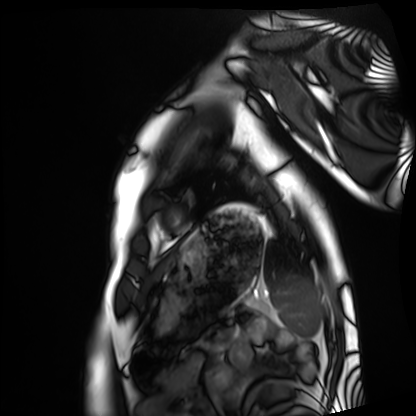
modality = cardiac MRI; subject group = healthy volunteer.